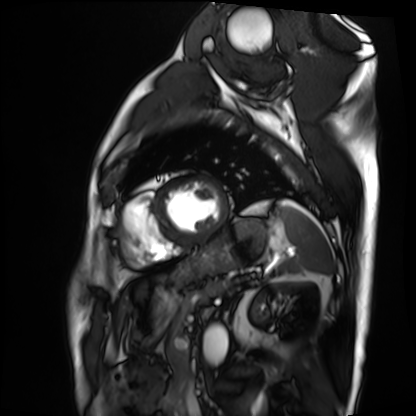
Cardiac MRI. Subject group: patient.